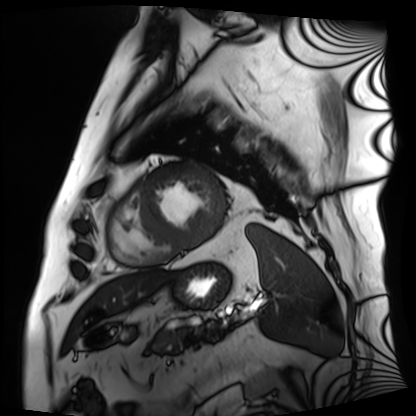
  modality: cardiac MRI
  cohort: patient